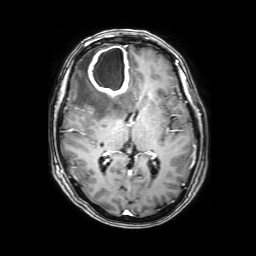
<case>
<modality>
  <type>brain MRI</type>
  <field_strength>3T</field_strength>
</modality>
<series>3D T1-weighted with SENSE</series>
<study_topic>ring-enhancing brain masses</study_topic>
</case>